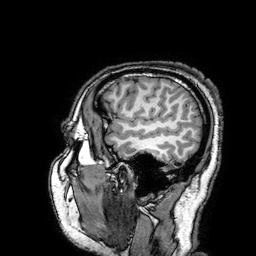
3 Tesla brain MRI.
Series: 3D T1-weighted turbo field echo with SENSE.
Study: ring-enhancing brain masses.